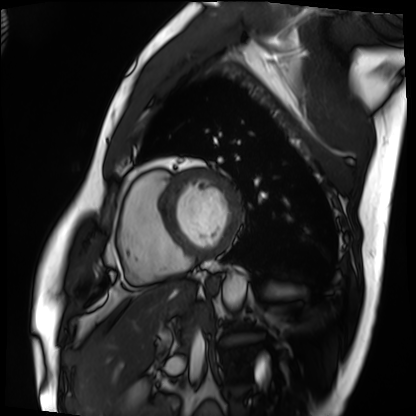
modality: cardiac MRI
cohort: patient